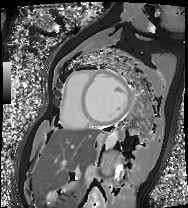
modality: cardiac MRI
cohort: patient